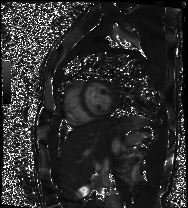
Cardiac MR image of the myocardium. Subject cohort: healthy volunteer.